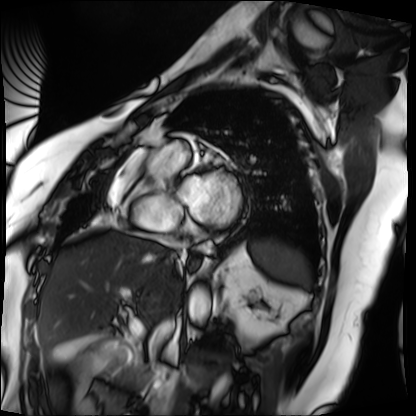
Cardiac MRI.
Subject group: patient.